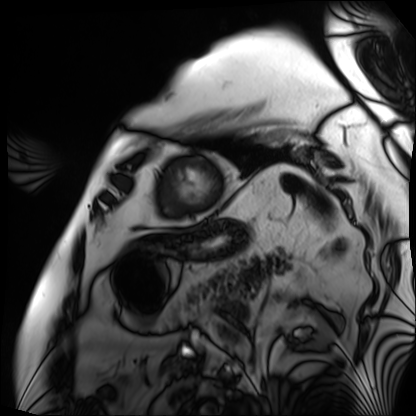
  modality: cardiac MRI
  cohort: patient